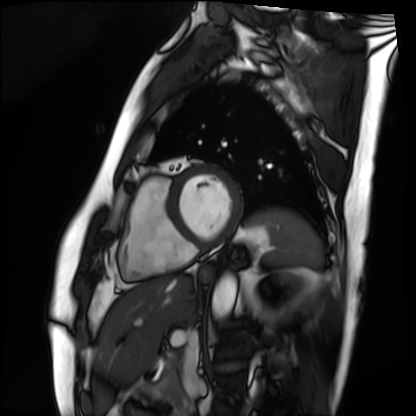
Cardiac MRI.
Subject group: patient.